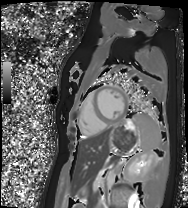
Clinical context: Cardiac MRI. Subject group: healthy volunteer.